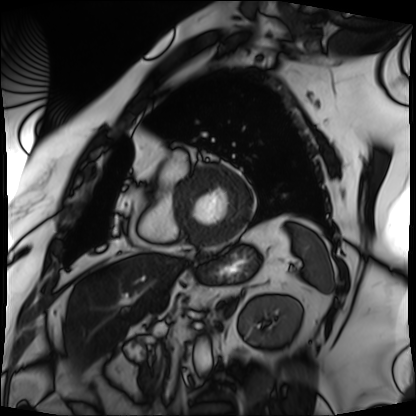
Cardiac MRI.
Subject group: patient.